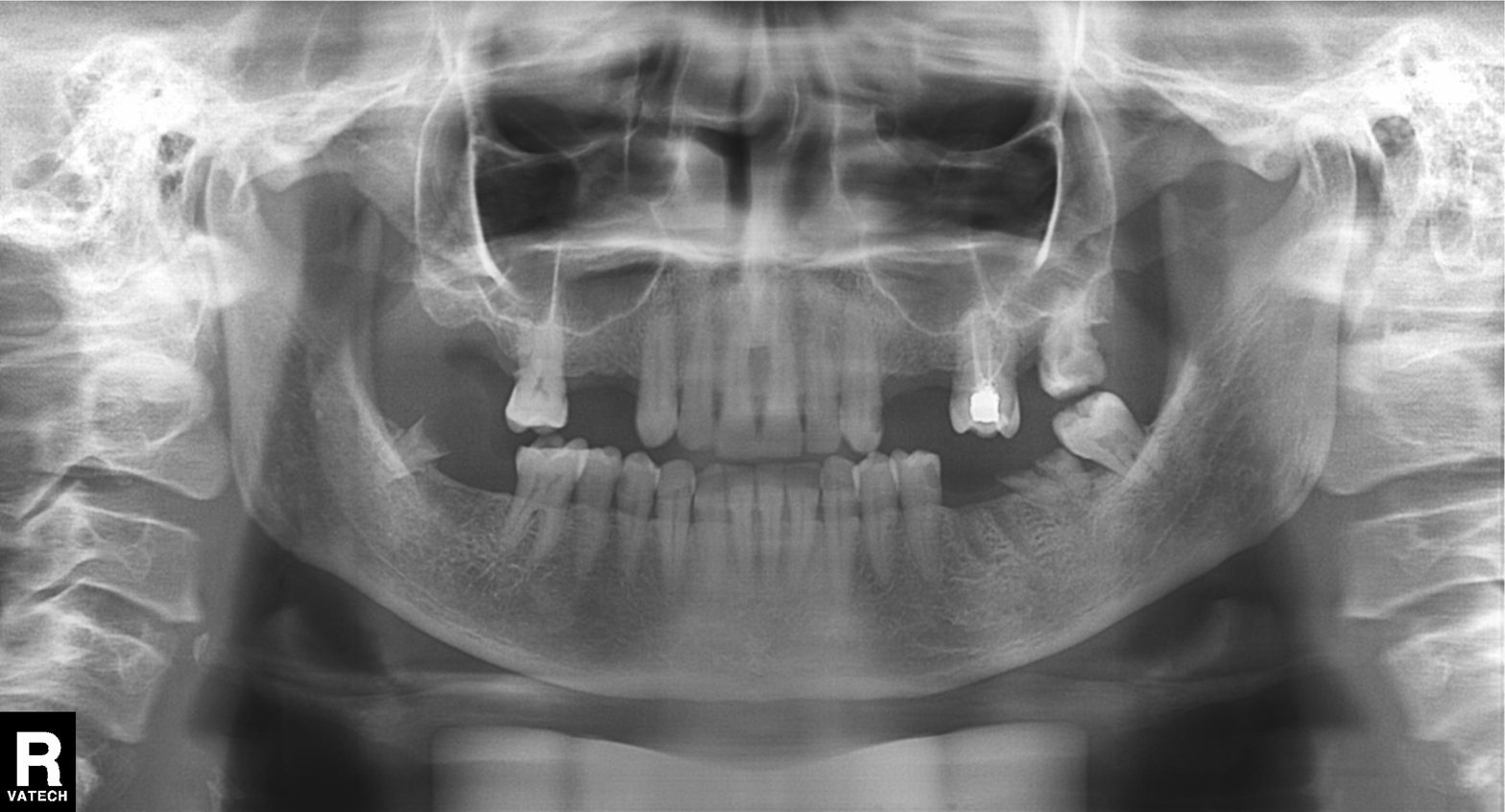
{
  "modality": "panoramic dental radiograph (orthopantomogram)",
  "finding": "dental caries (cavities)"
}